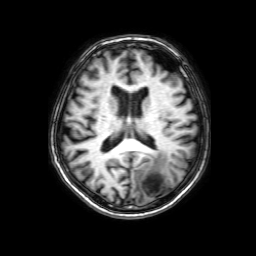
Summary:
3 Tesla brain MRI. Series: 3D T1-weighted with SENSE. Study: ring-enhancing brain masses.